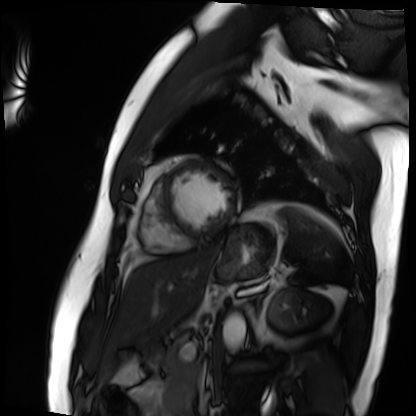
Q: What kind of scan is this?
A: Cardiac MRI.
Subject group: patient.